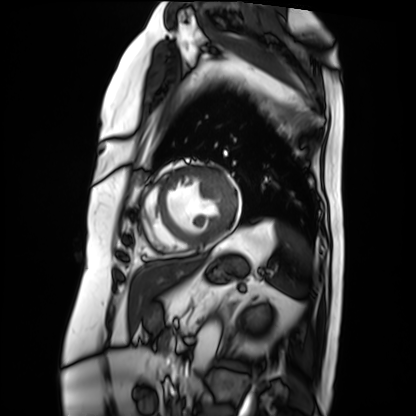
Cardiac MRI. Subject group: patient.